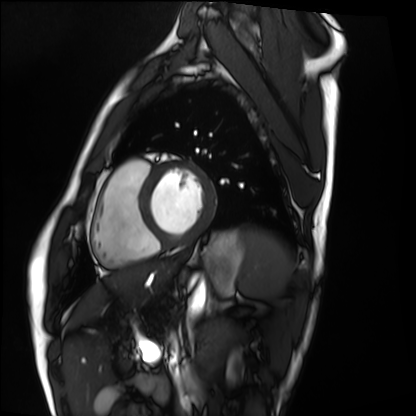
modality = cardiac MRI; subject group = healthy volunteer.